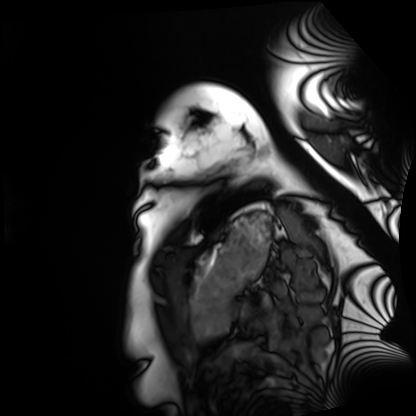
Q: What kind of scan is this?
A: Cardiac MRI.
Subject group: healthy volunteer.